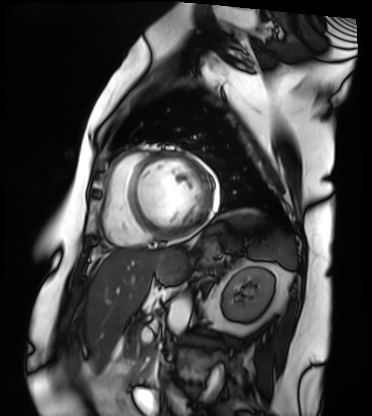
Cardiac MRI. Subject group: patient.